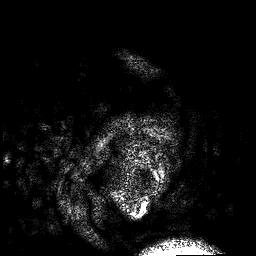
3 Tesla brain MRI.
Series: 3D T1-weighted.
Study: ring-enhancing brain masses.